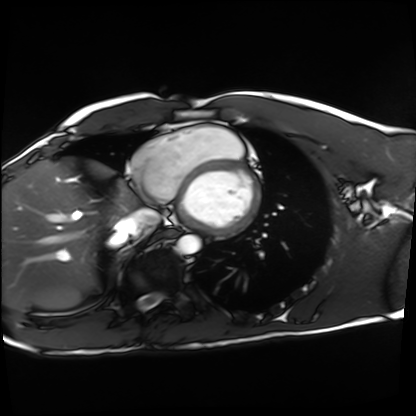
Cardiac MRI. Subject group: healthy volunteer.